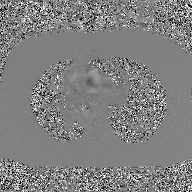
modality: 2D phase-contrast cine MRI of the ascending aorta, GAN super-resolution reconstruction.